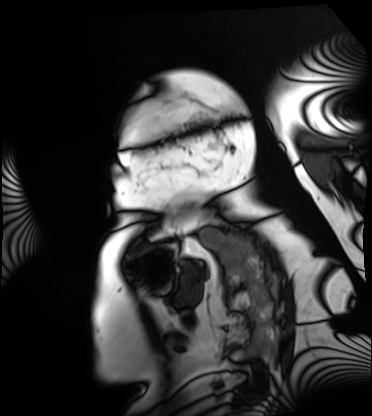
Cardiac MRI.
Subject group: patient.